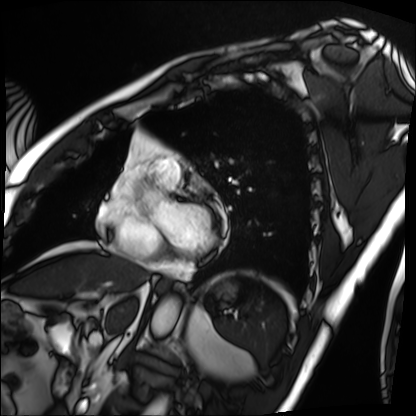
Cardiac MRI. Subject group: patient.